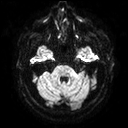
modality: 3 Tesla brain MRI
series: diffusion tensor imaging (medium iso)
study: ring-enhancing brain masses